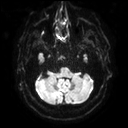
3 Tesla brain MRI.
Series: diffusion tensor imaging (medium iso).
Study: ring-enhancing brain masses.